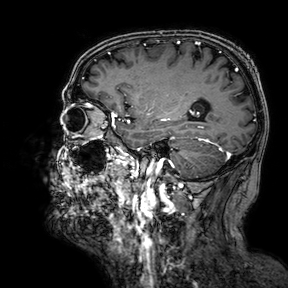
3 Tesla brain MRI. Series: 3D T1-weighted turbo field echo with SENSE. Study: ring-enhancing brain masses.